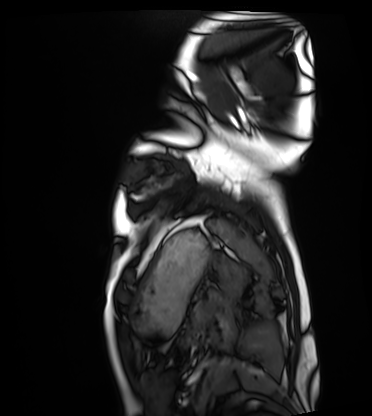
Cardiac MRI. Subject group: healthy volunteer.